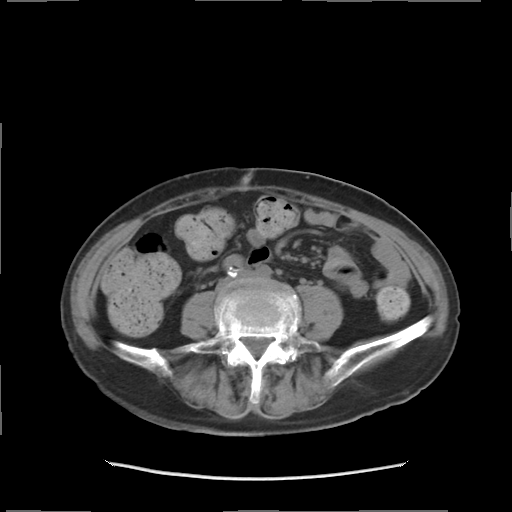
- modality: multiphase abdominal CT, liver, non-contrast phase
- patient: female, age 68